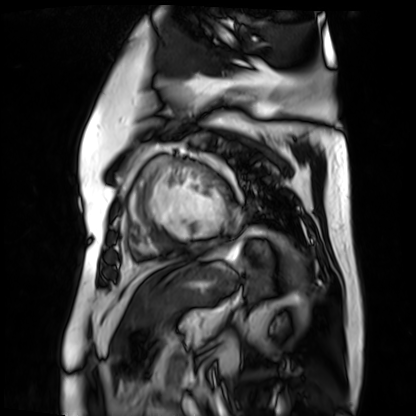
| field | value |
|---|---|
| modality | cardiac MR image of the myocardium |
| subject cohort | cardiac patient |